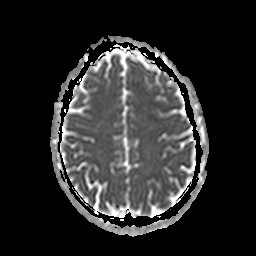
Summary:
3 Tesla brain MRI. Series: apparent diffusion coefficient (ADC) map. Study: ring-enhancing brain masses.